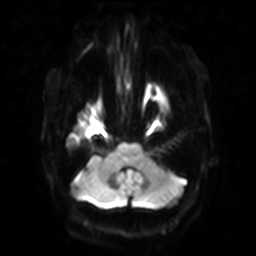
3 Tesla brain MRI.
Series: diffusion-weighted imaging with SENSE (WIP).
Study: ring-enhancing brain masses.